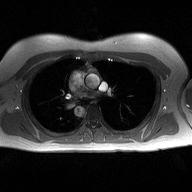
Summary: 2D phase-contrast cine MRI of the ascending aorta, high-resolution GRAPPA acquisition.